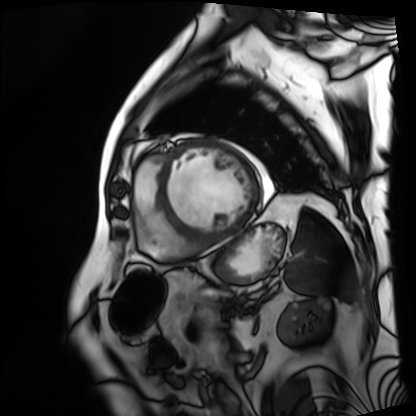
Cardiac MRI. Subject group: patient.